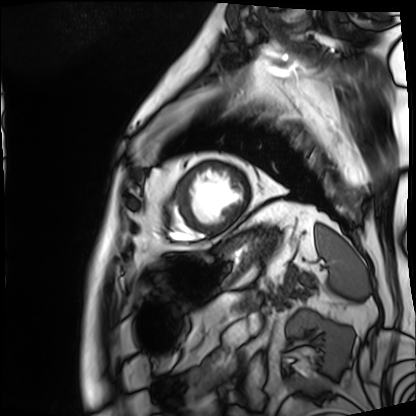
Summary: Cardiac MRI. Subject group: patient.